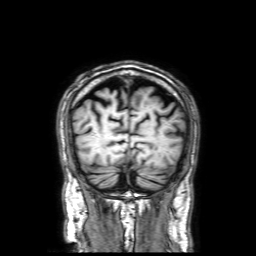
3 Tesla brain MRI.
Series: 3D T1-weighted with SENSE.
Study: ring-enhancing brain masses.